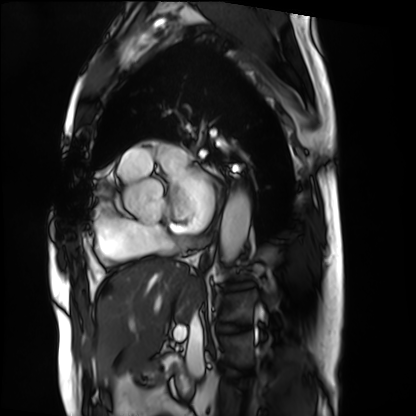
Cardiac MRI.
Subject group: patient.